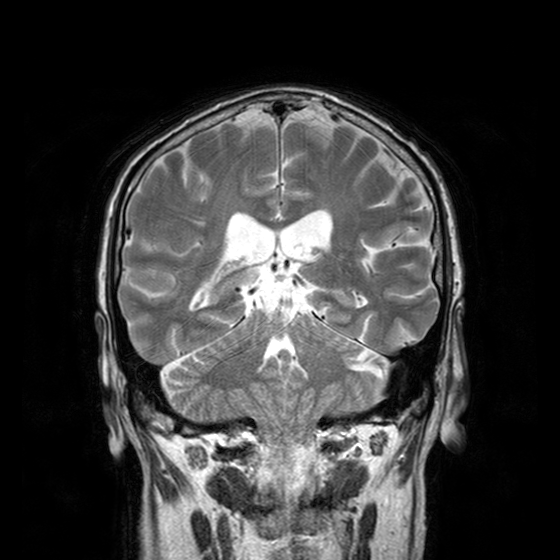
Q: What kind of scan is this?
A: 3 Tesla brain MRI.
Q: Series?
A: T2-weighted turbo spin echo with CLEAR.
Study: ring-enhancing brain masses.